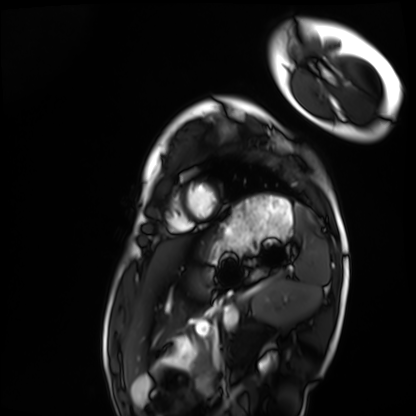
• modality — cardiac MRI
• subject group — healthy volunteer